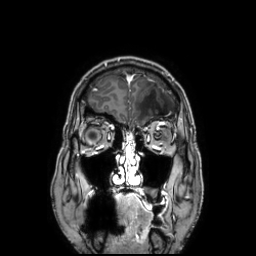
3 Tesla brain MRI. Study: ring-enhancing brain masses.